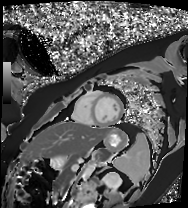
modality: cardiac MR image of the myocardium
cohort: healthy volunteer